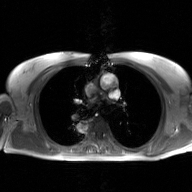
2D phase-contrast cine MRI of the ascending aorta, GAN super-resolution reconstruction.